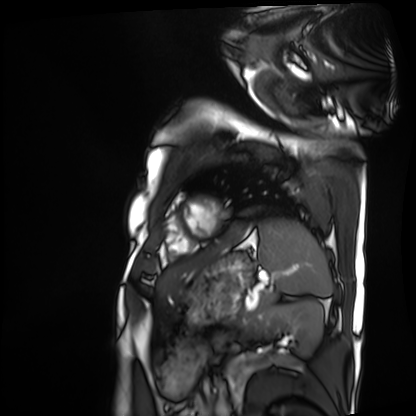
Case summary: Cardiac MRI. Subject group: patient.